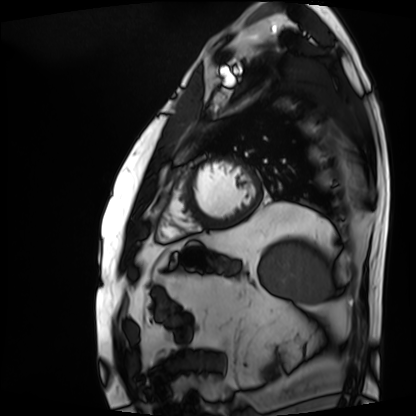
Cardiac MRI.
Subject group: patient.